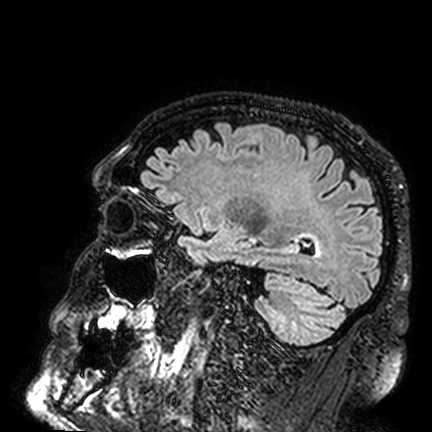
| field | value |
|---|---|
| modality | 3 Tesla brain MRI |
| series | FLAIR VISTA |
| study | ring-enhancing brain masses |